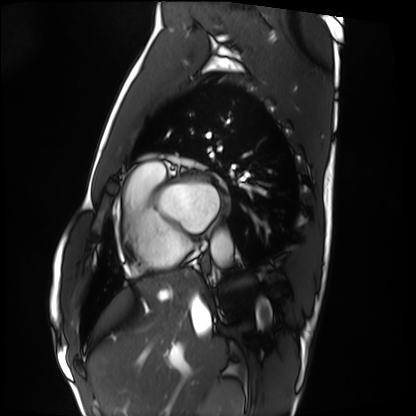
modality = cardiac MRI; subject group = healthy volunteer.